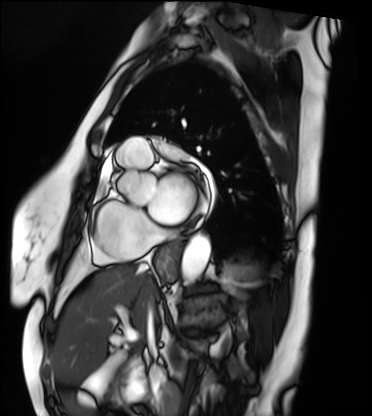
Cardiac MRI. Subject group: patient.